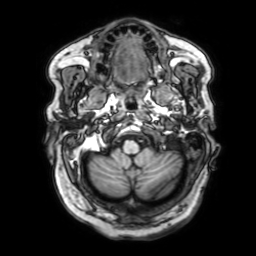
3 Tesla brain MRI. Series: 3D T1-weighted with SENSE. Study: ring-enhancing brain masses.